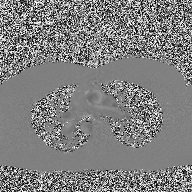
2D phase-contrast cine MRI of the ascending aorta, high-resolution GRAPPA acquisition.